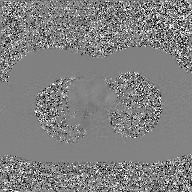
modality — 2D phase-contrast cine MRI of the ascending aorta, GAN super-resolution reconstruction